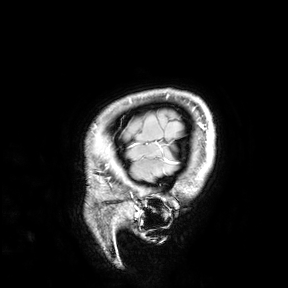
Case:
* modality — 3 Tesla brain MRI
* study — ring-enhancing brain masses